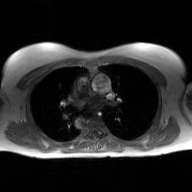
Case:
• modality — 2D phase-contrast cine MRI of the ascending aorta, GAN super-resolution reconstruction